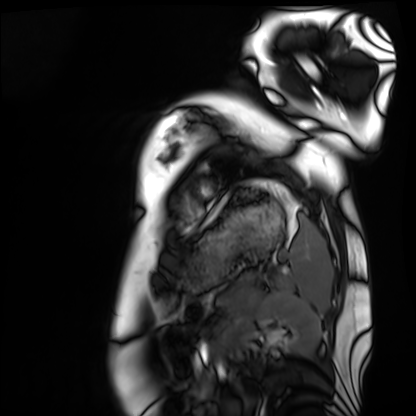
modality = cardiac MRI | subject group = healthy volunteer.